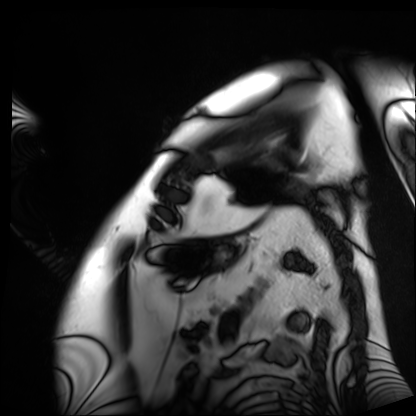
Cardiac MRI. Subject group: patient.